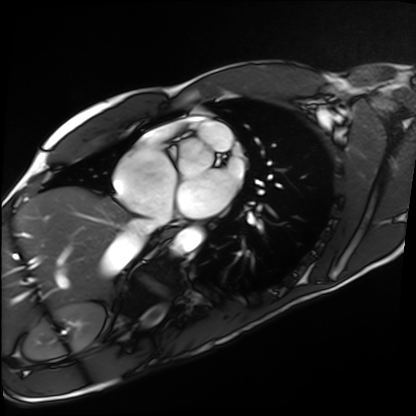
  modality: cardiac MRI
  cohort: healthy volunteer